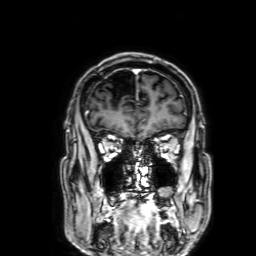
modality = 3 Tesla brain MRI
series = 3D T1-weighted with SENSE
study = ring-enhancing brain masses